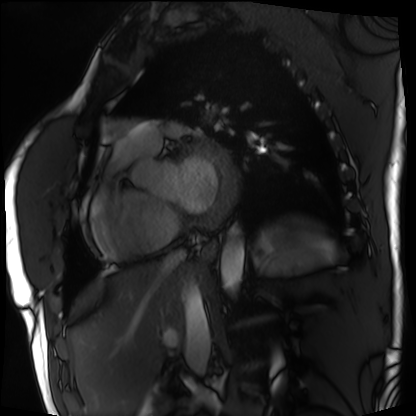
Summary:
Cardiac MRI. Subject group: patient.